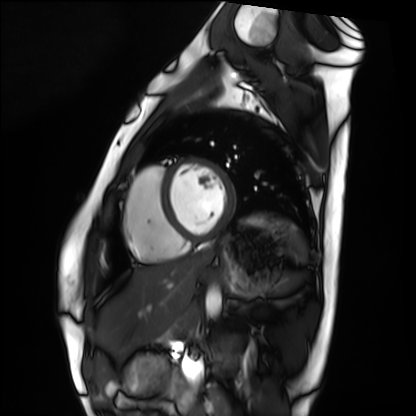
Summary:
Cardiac MRI. Subject group: healthy volunteer.